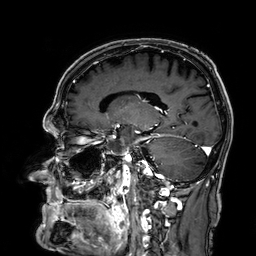
3 Tesla brain MRI. Series: 3D T1-weighted. Study: ring-enhancing brain masses.